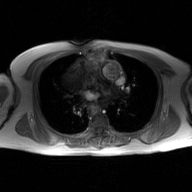
modality = 2D phase-contrast cine MRI of the ascending aorta, GAN super-resolution reconstruction.